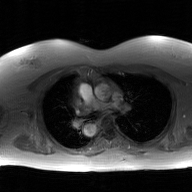
2D phase-contrast cine MRI of the ascending aorta, GAN super-resolution reconstruction.